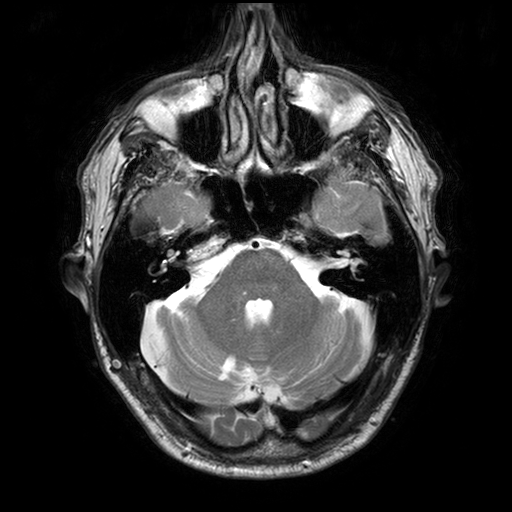
3 Tesla brain MRI. Series: T2-weighted turbo spin echo with SENSE. Study: ring-enhancing brain masses.